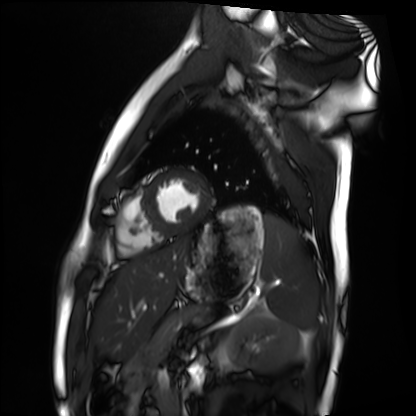
{
  "modality": "cardiac MRI",
  "cohort": "healthy volunteer"
}